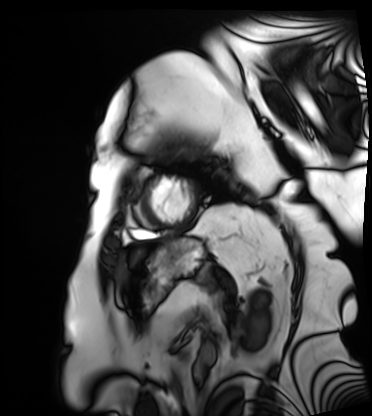
  modality: cardiac MRI
  cohort: patient